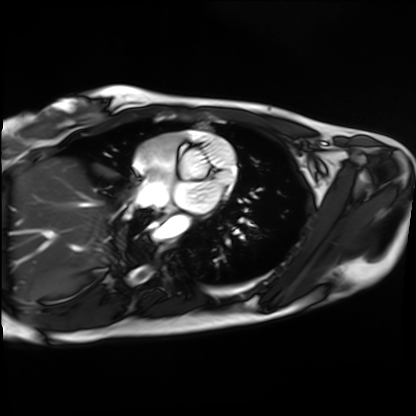
Case summary: Cardiac MRI. Subject group: healthy volunteer.